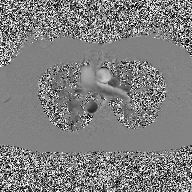
modality = 2D phase-contrast cine MRI of the ascending aorta.